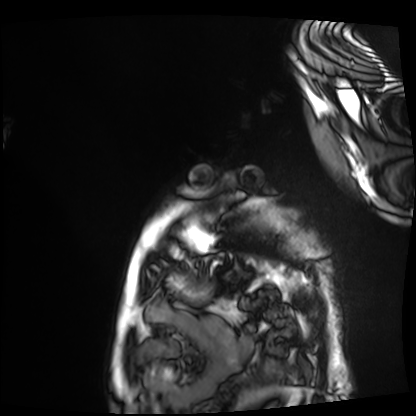
Cardiac MRI. Subject group: patient.